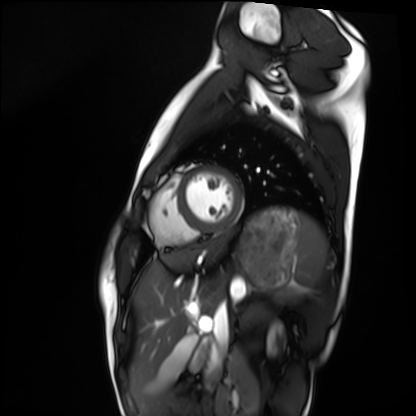
Summary:
Cardiac MRI. Subject group: healthy volunteer.